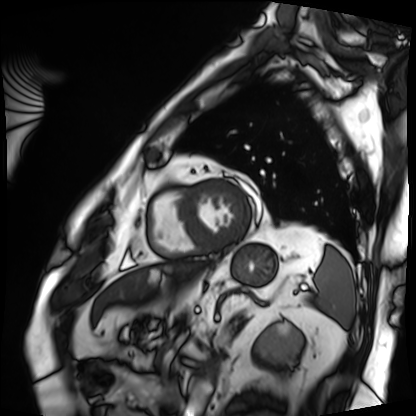
{"modality": "cardiac MRI", "cohort": "patient"}